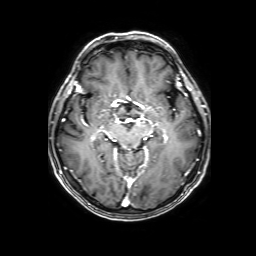
modality=3 Tesla brain MRI
series=3D T1-weighted with SENSE
study=ring-enhancing brain masses